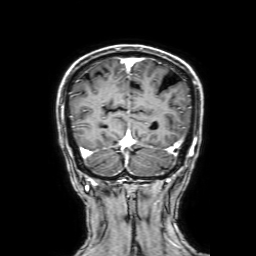
Summary: 3 Tesla brain MRI. Study: ring-enhancing brain masses.